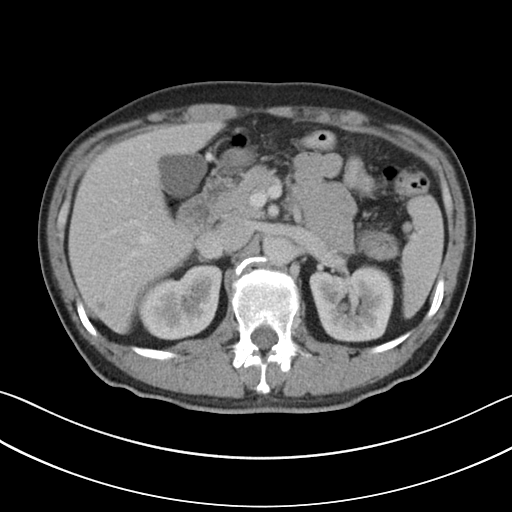
  modality:
    type: multiphase abdominal CT
    region: liver
    phase: portal venous
  patient:
    sex: male
    age: 45